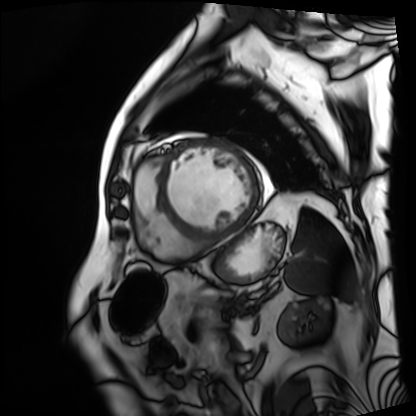
Case summary: Cardiac MRI. Subject group: patient.